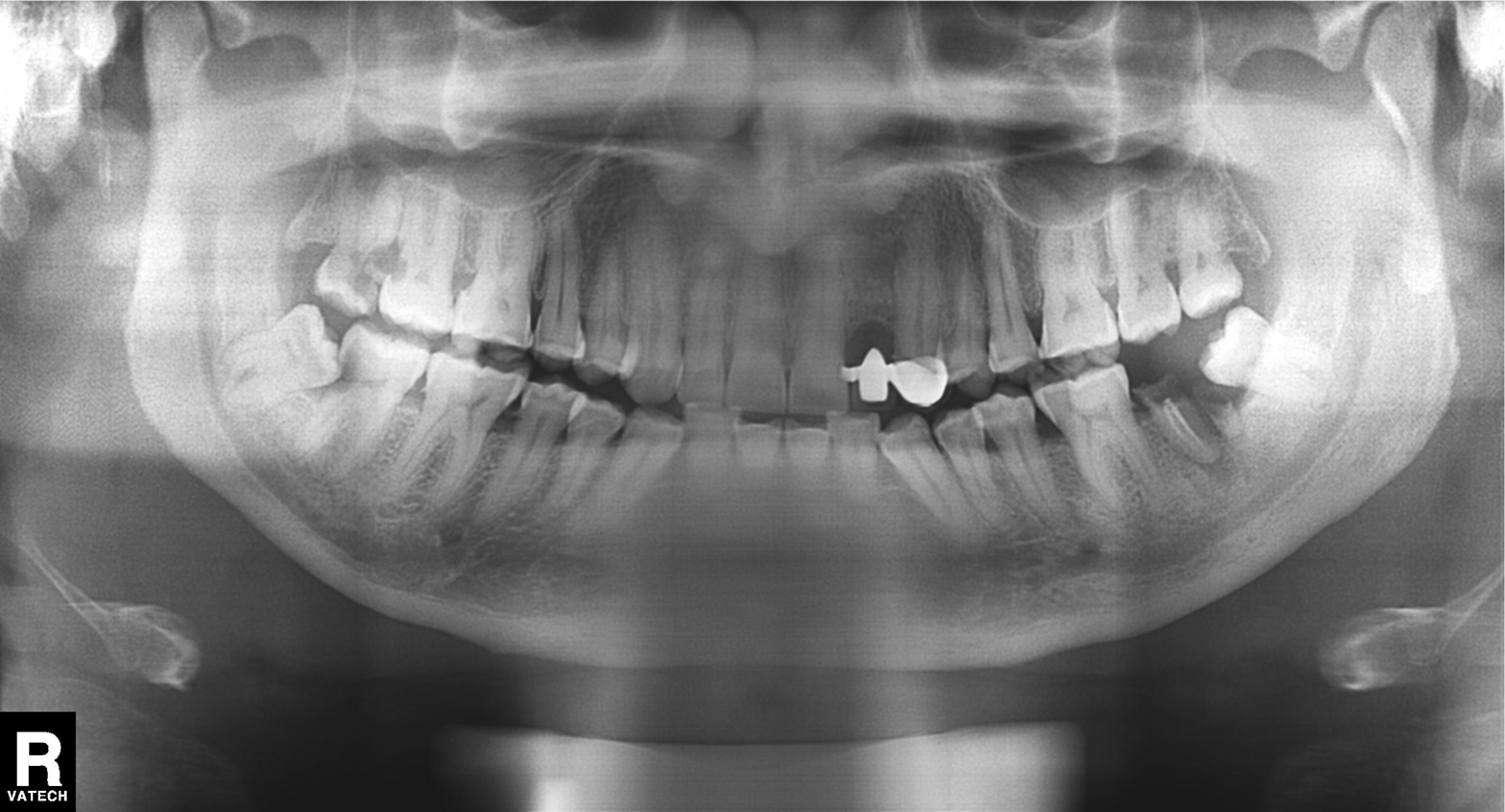
Q: What kind of scan is this?
A: Panoramic dental radiograph (orthopantomogram).
Q: What is the radiographic finding?
A: Alveolar bone loss.